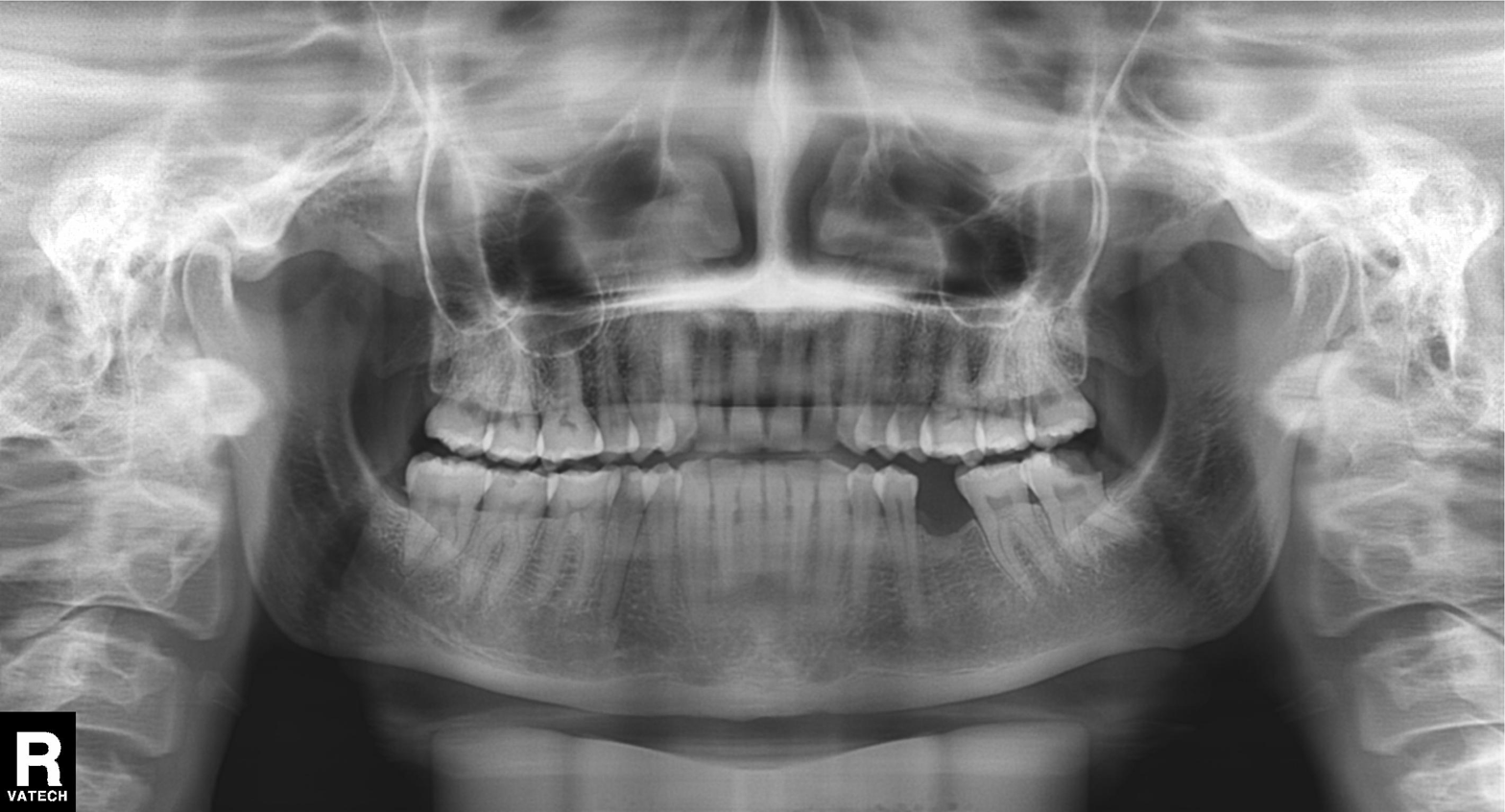
{"modality": "panoramic dental radiograph (orthopantomogram)", "finding": "alveolar bone loss"}